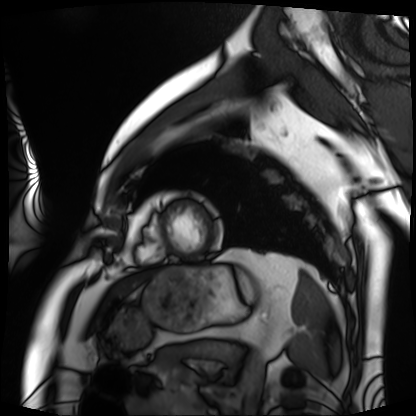
{"modality": "cardiac MRI", "cohort": "patient"}